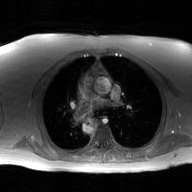
modality:
  type: 2D phase-contrast cine MRI
  region: ascending aorta
  reconstruction: GAN super-resolution reconstruction